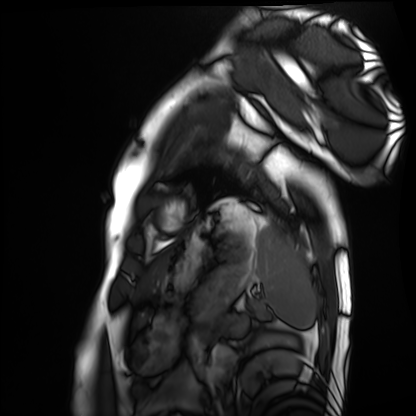
Summary:
Cardiac MRI. Subject group: healthy volunteer.